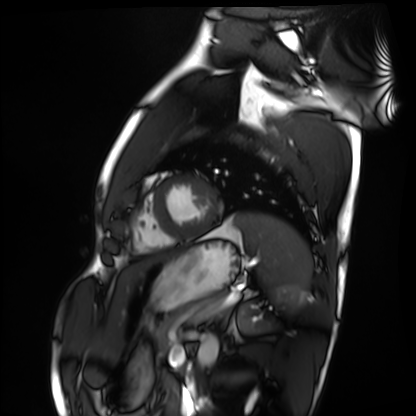
Q: What kind of scan is this?
A: Cardiac MRI.
Subject group: healthy volunteer.